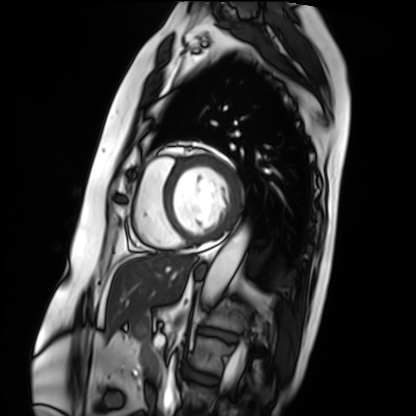
Cardiac MRI. Subject group: patient.